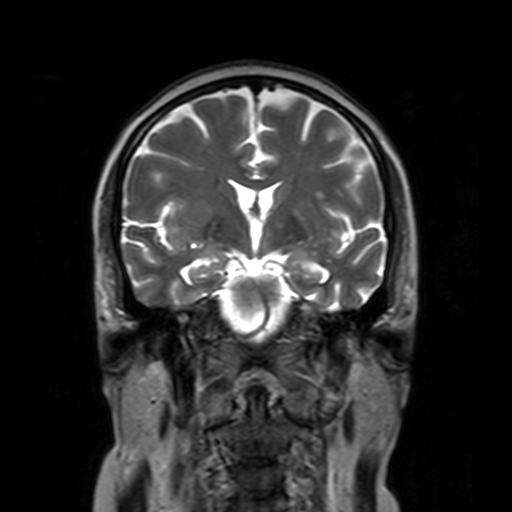
modality: 3 Tesla brain MRI
series: T2-weighted turbo spin echo with SENSE
study: ring-enhancing brain masses